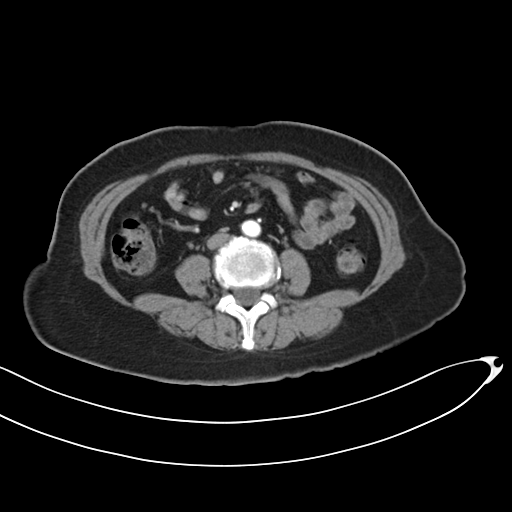
Multiphase abdominal CT, liver, arterial phase.